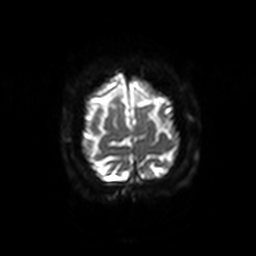
3 Tesla brain MRI.
Series: diffusion-weighted imaging with SENSE (WIP).
Study: ring-enhancing brain masses.